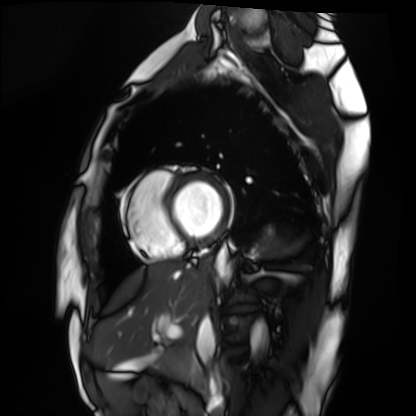
{"modality": "cardiac MRI", "cohort": "healthy volunteer"}